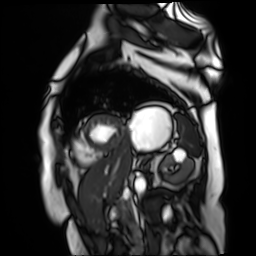
modality: cardiac MR image of the myocardium, subject cohort: cardiac patient.